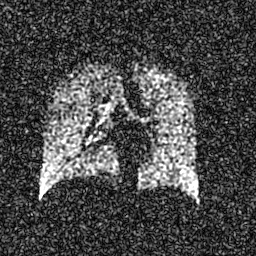
Q: What kind of scan is this?
A: Hyperpolarized 129Xe ventilation MRI of the lungs.
Q: SNR level?
A: 6 of 8 (the deposit holds this scan as its native image and as seven SNR-degraded versions).